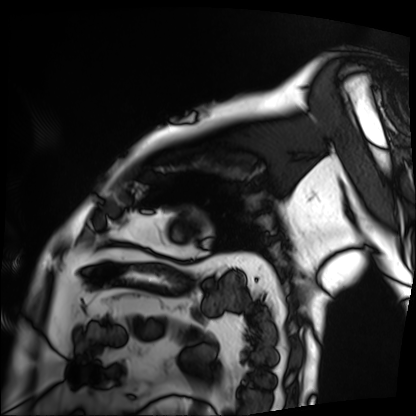
Q: What kind of scan is this?
A: Cardiac MRI.
Subject group: patient.